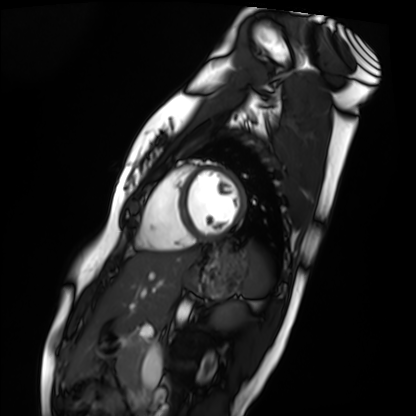
<scan>
<modality>cardiac MRI</modality>
<cohort>healthy volunteer</cohort>
</scan>